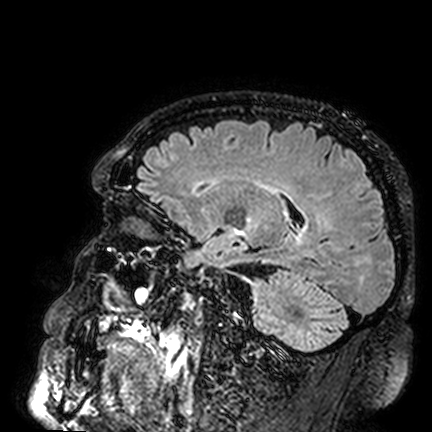
modality=3 Tesla brain MRI; series=FLAIR VISTA; study=ring-enhancing brain masses.